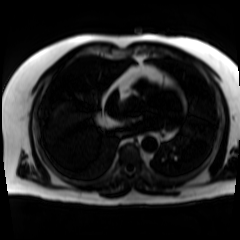
modality: chemical-shift-encoded cardiac MRI